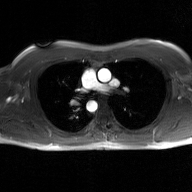
2D phase-contrast cine MRI of the ascending aorta, GAN super-resolution reconstruction.